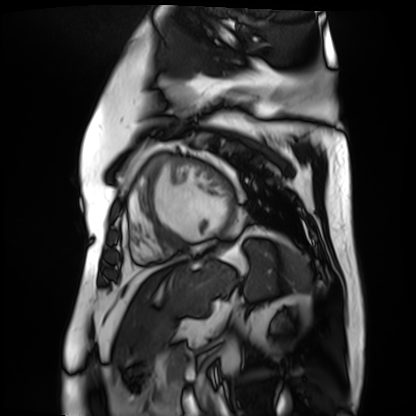
* modality — cardiac MR image of the myocardium
* subject cohort — cardiac patient